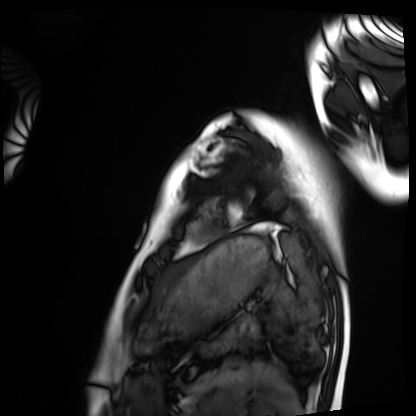
Summary:
Cardiac MRI. Subject group: healthy volunteer.